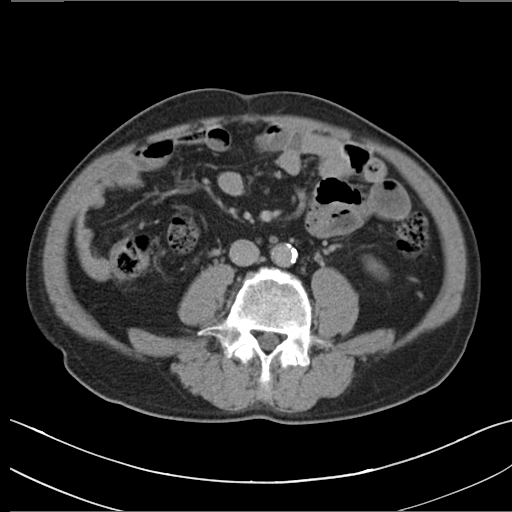
Multiphase abdominal CT, liver, delayed phase.